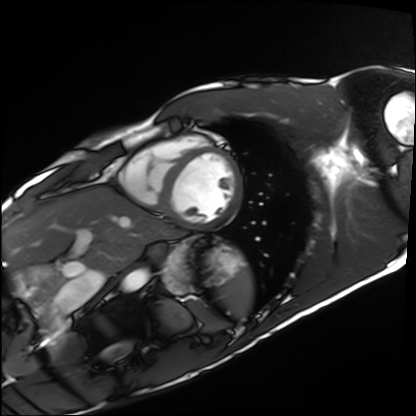
modality: cardiac MRI | subject group: healthy volunteer.